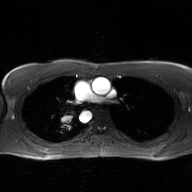
modality:
  type: 2D phase-contrast cine MRI
  region: ascending aorta
  reconstruction: GAN super-resolution reconstruction